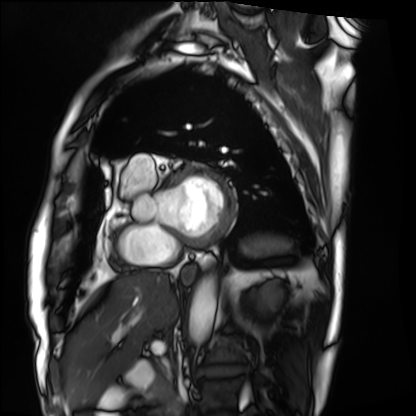
Cardiac MRI.
Subject group: patient.